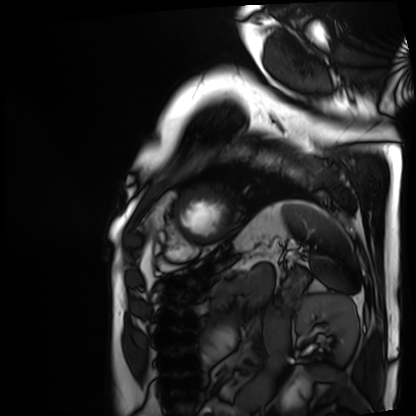
Q: What kind of scan is this?
A: Cardiac MRI.
Subject group: patient.